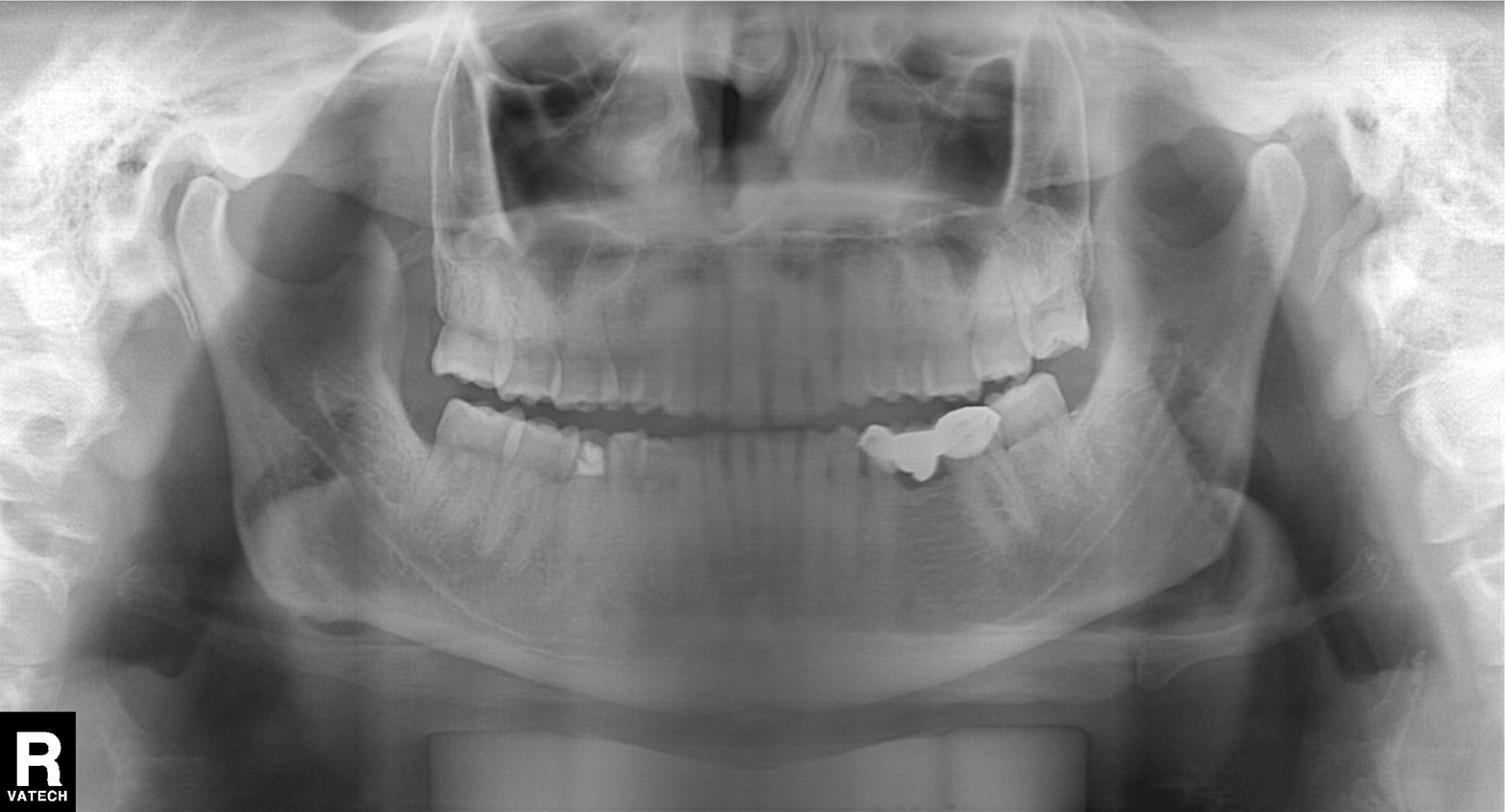
modality = panoramic dental radiograph (orthopantomogram), finding = alveolar bone loss.